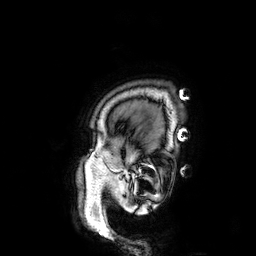
* modality: 3 Tesla brain MRI
* study: ring-enhancing brain masses